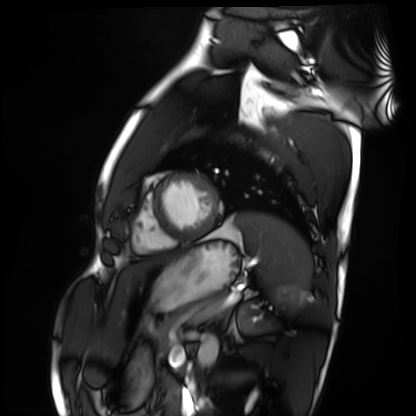
<record>
<modality>cardiac MRI</modality>
<cohort>healthy volunteer</cohort>
</record>